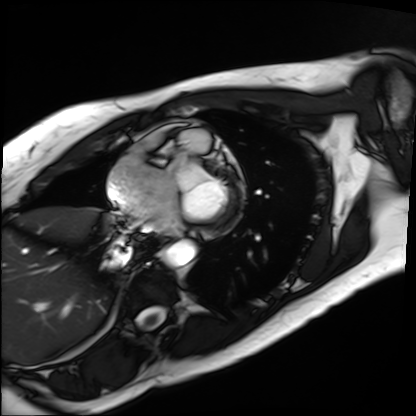
Clinical context: Cardiac MRI. Subject group: patient.